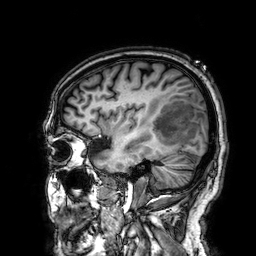
modality = 3 Tesla brain MRI | series = 3D T1-weighted | study = ring-enhancing brain masses.